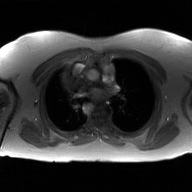
modality: 2D phase-contrast cine MRI of the ascending aorta, GAN super-resolution reconstruction.